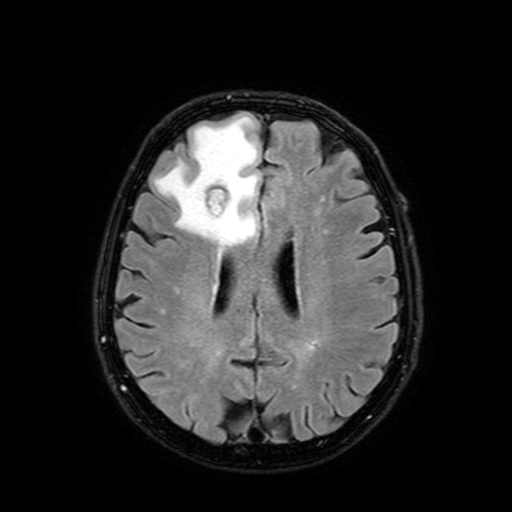
modality: 3 Tesla brain MRI; series: FLAIR with SPAIR, 3 mm; study: ring-enhancing brain masses.